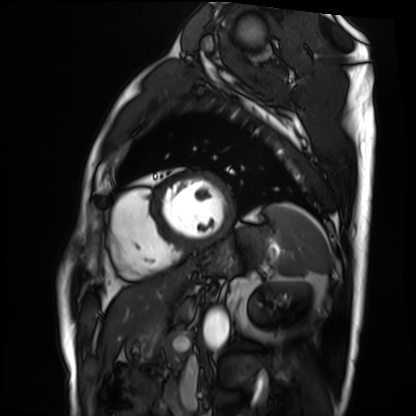
Summary:
Cardiac MRI. Subject group: patient.